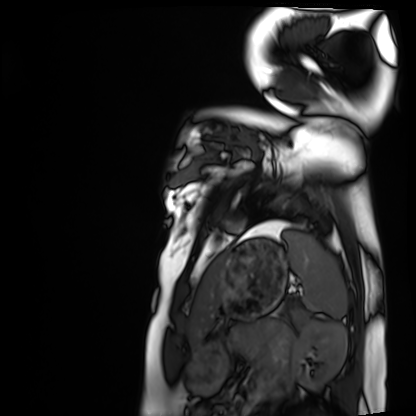
Case:
• modality · cardiac MRI
• subject group · healthy volunteer